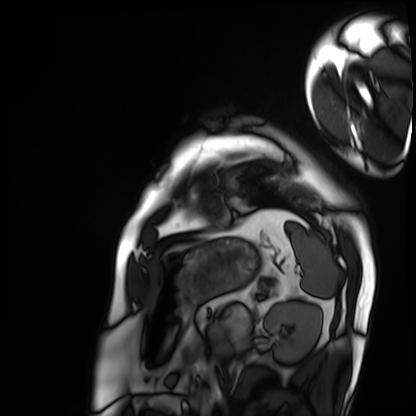
modality=cardiac MRI | subject group=patient.